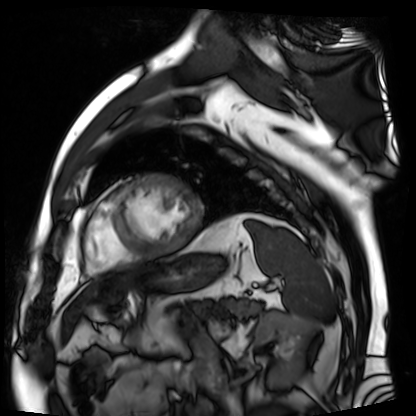
Cardiac MR image of the myocardium.
Subject cohort: cardiac patient.